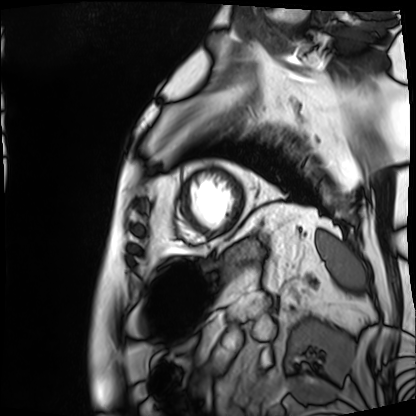
Cardiac MRI. Subject group: patient.